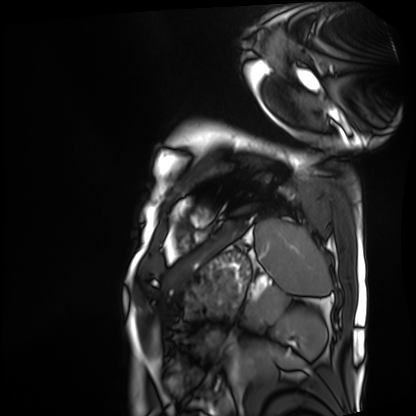
* modality · cardiac MRI
* subject group · patient